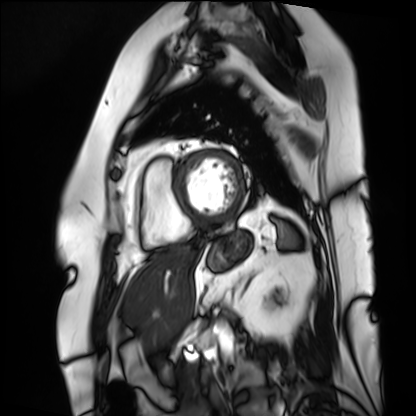
Case summary: Cardiac MRI. Subject group: patient.